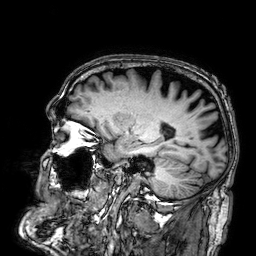
modality = 3 Tesla brain MRI | series = 3D T1-weighted | study = ring-enhancing brain masses.